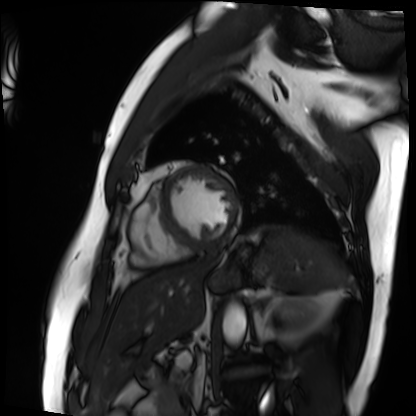
Cardiac MRI.
Subject group: patient.